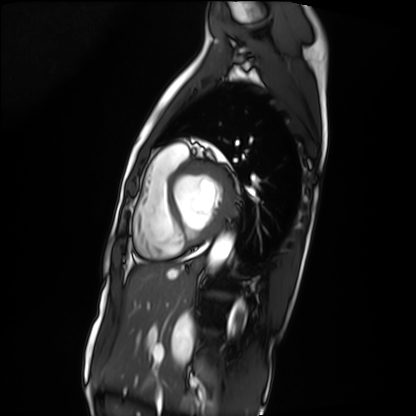
– modality · cardiac MRI
– subject group · patient